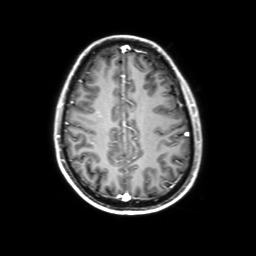
3 Tesla brain MRI.
Series: 3D T1-weighted with SENSE.
Study: ring-enhancing brain masses.